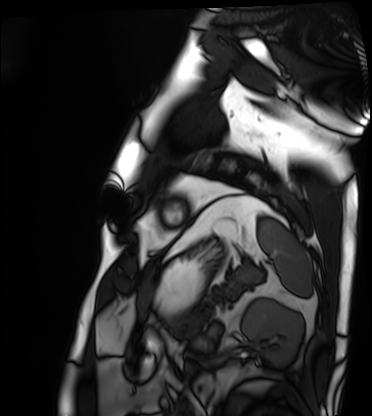
Cardiac MRI. Subject group: patient.